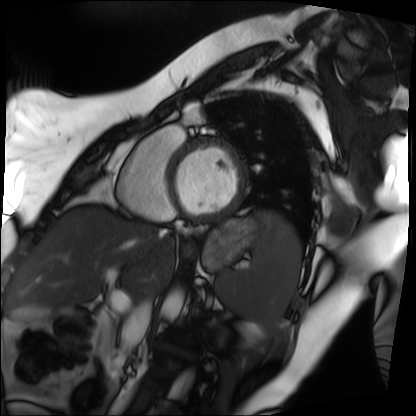
modality: cardiac MRI | subject group: patient.